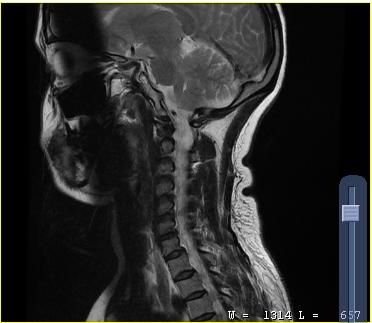
modality: MRI of the cervical spine; study: cervical spondylosis.